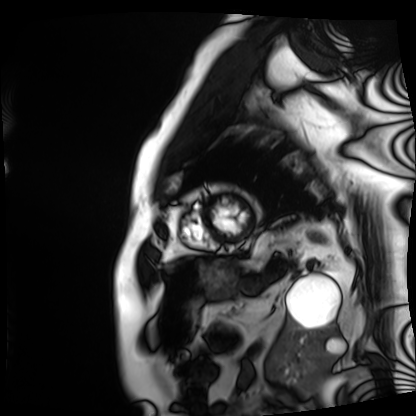
modality — cardiac MRI | subject group — patient.